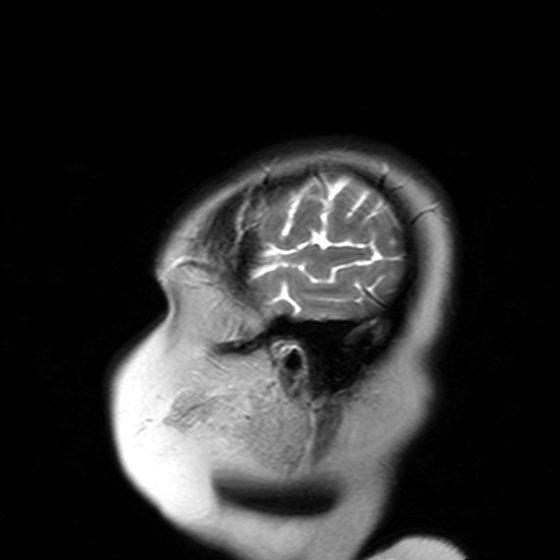
3 Tesla brain MRI.
Series: T2-weighted turbo spin echo with SENSE.
Study: ring-enhancing brain masses.